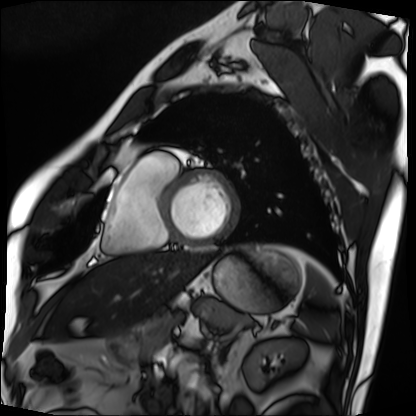
modality: cardiac MRI, subject group: patient.